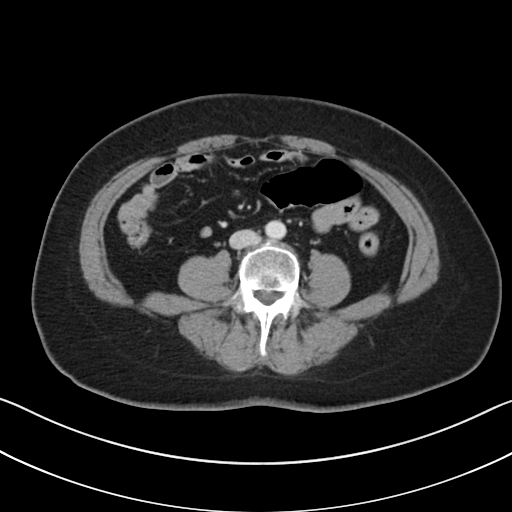
{"modality": {"type": "multiphase abdominal CT", "region": "liver", "phase": "portal venous"}, "patient": {"sex": "female", "age": 57}, "history": ["viral hepatitis"]}